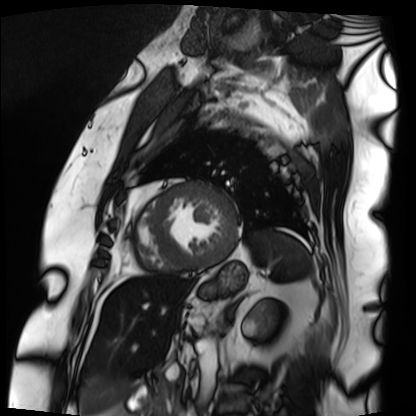
Q: What kind of scan is this?
A: Cardiac MRI.
Subject group: patient.